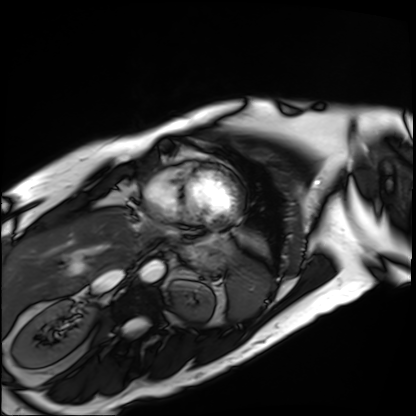
Summary: Cardiac MRI. Subject group: patient.